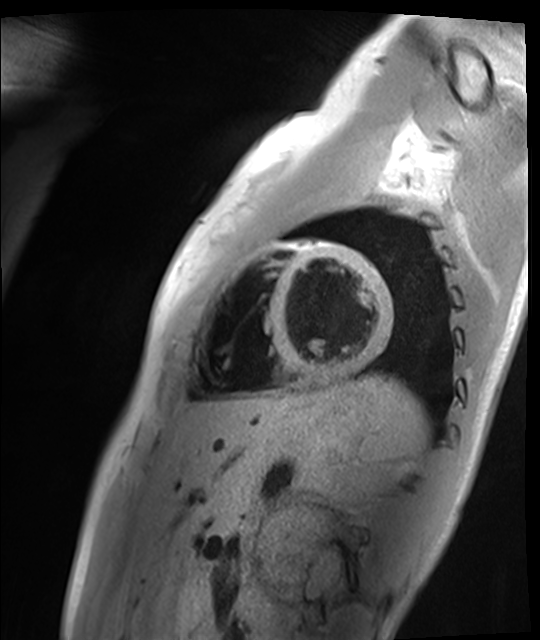
modality = cardiac MR image of the myocardium, subject cohort = healthy volunteer.